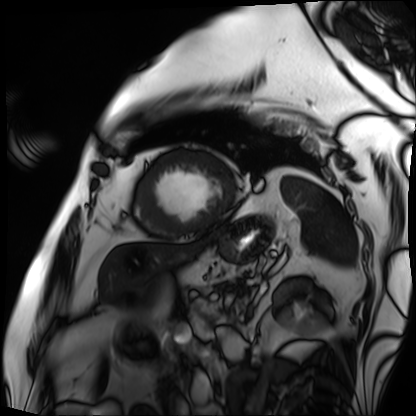
Cardiac MRI.
Subject group: patient.